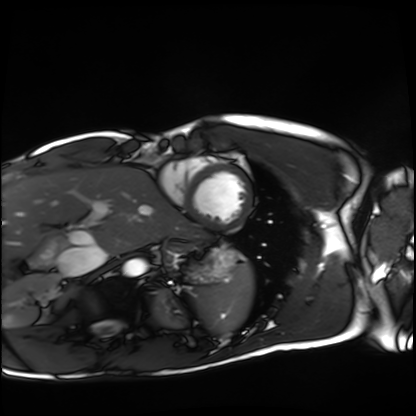
Case summary:
Cardiac MRI. Subject group: healthy volunteer.